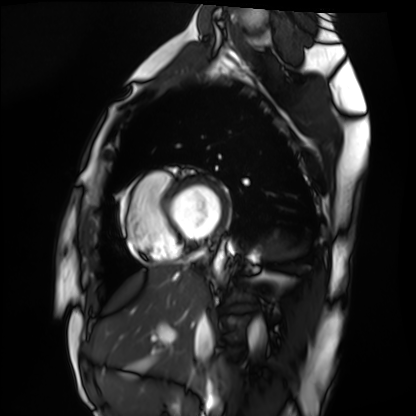
Cardiac MRI.
Subject group: healthy volunteer.